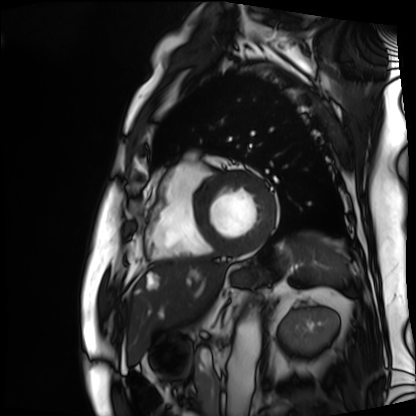
{
  "modality": "cardiac MRI",
  "cohort": "patient"
}